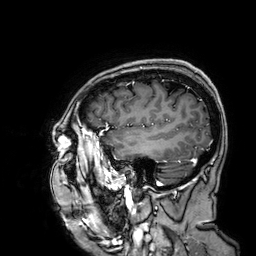
| field | value |
|---|---|
| modality | 3 Tesla brain MRI |
| series | 3D T1-weighted |
| study | ring-enhancing brain masses |